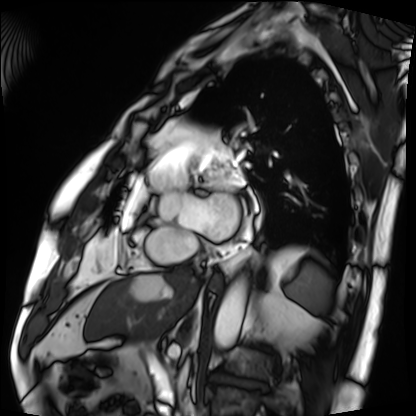
Cardiac MRI.
Subject group: patient.